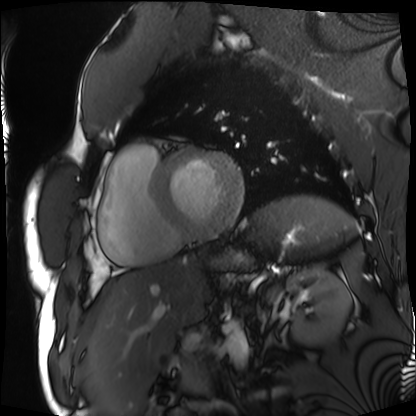
modality = cardiac MRI
subject group = patient